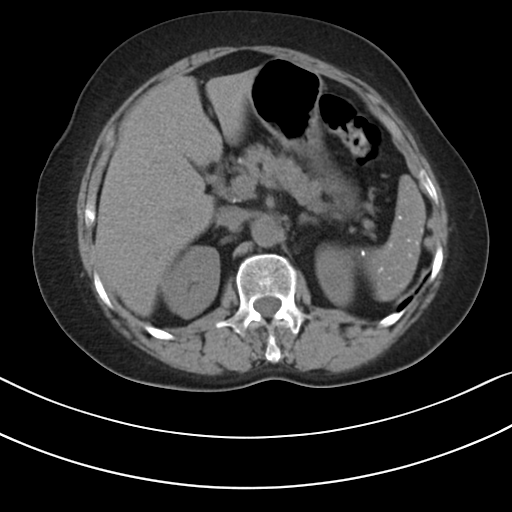
modality: multiphase abdominal CT, liver, non-contrast phase